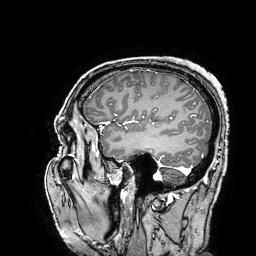
3 Tesla brain MRI. Series: 3D T1-weighted turbo field echo with SENSE. Study: ring-enhancing brain masses.